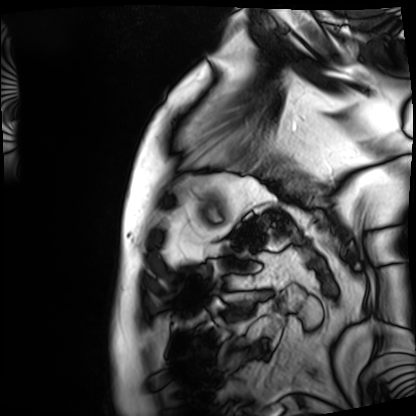
modality = cardiac MRI, subject group = patient.